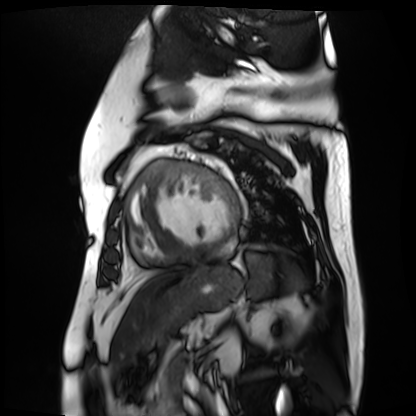
Cardiac MR image of the myocardium.
Subject cohort: cardiac patient.